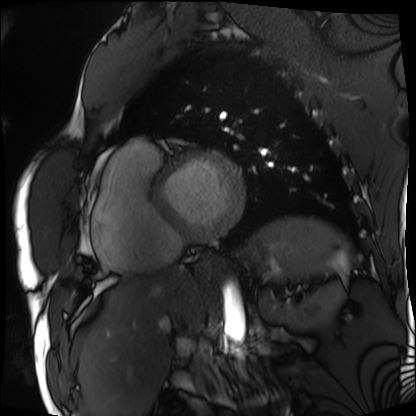
Cardiac MRI.
Subject group: patient.